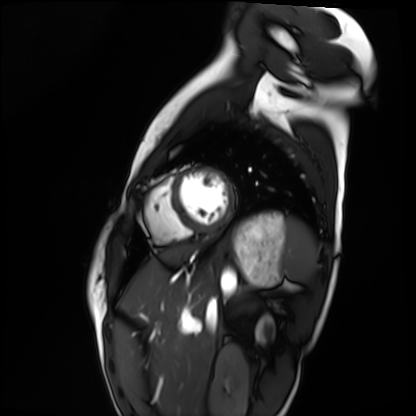
Cardiac MRI.
Subject group: healthy volunteer.